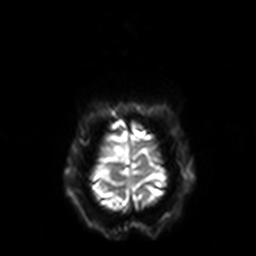
| field | value |
|---|---|
| modality | 3 Tesla brain MRI |
| series | diffusion-weighted imaging with SENSE (WIP) |
| study | ring-enhancing brain masses |